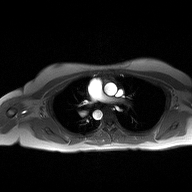
  modality:
    type: 2D phase-contrast cine MRI
    region: ascending aorta
    reconstruction: high-resolution GRAPPA acquisition